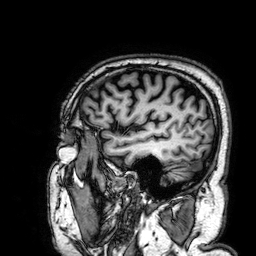
Case summary: 3 Tesla brain MRI. Series: 3D T1-weighted. Study: ring-enhancing brain masses.